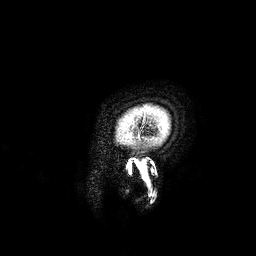
Case:
* modality: 3 Tesla brain MRI
* series: 3D T1-weighted
* study: ring-enhancing brain masses